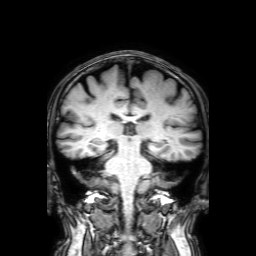
| field | value |
|---|---|
| modality | 3 Tesla brain MRI |
| series | 3D T1-weighted with SENSE |
| study | ring-enhancing brain masses |